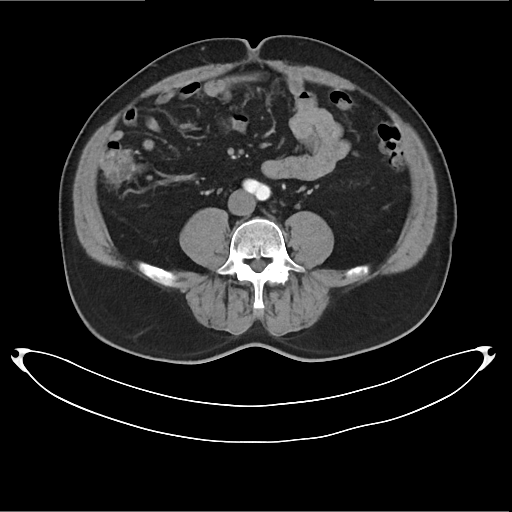
Multiphase abdominal CT, liver, arterial phase.
Patient: male, age 53.
History: cirrhosis, viral hepatitis.